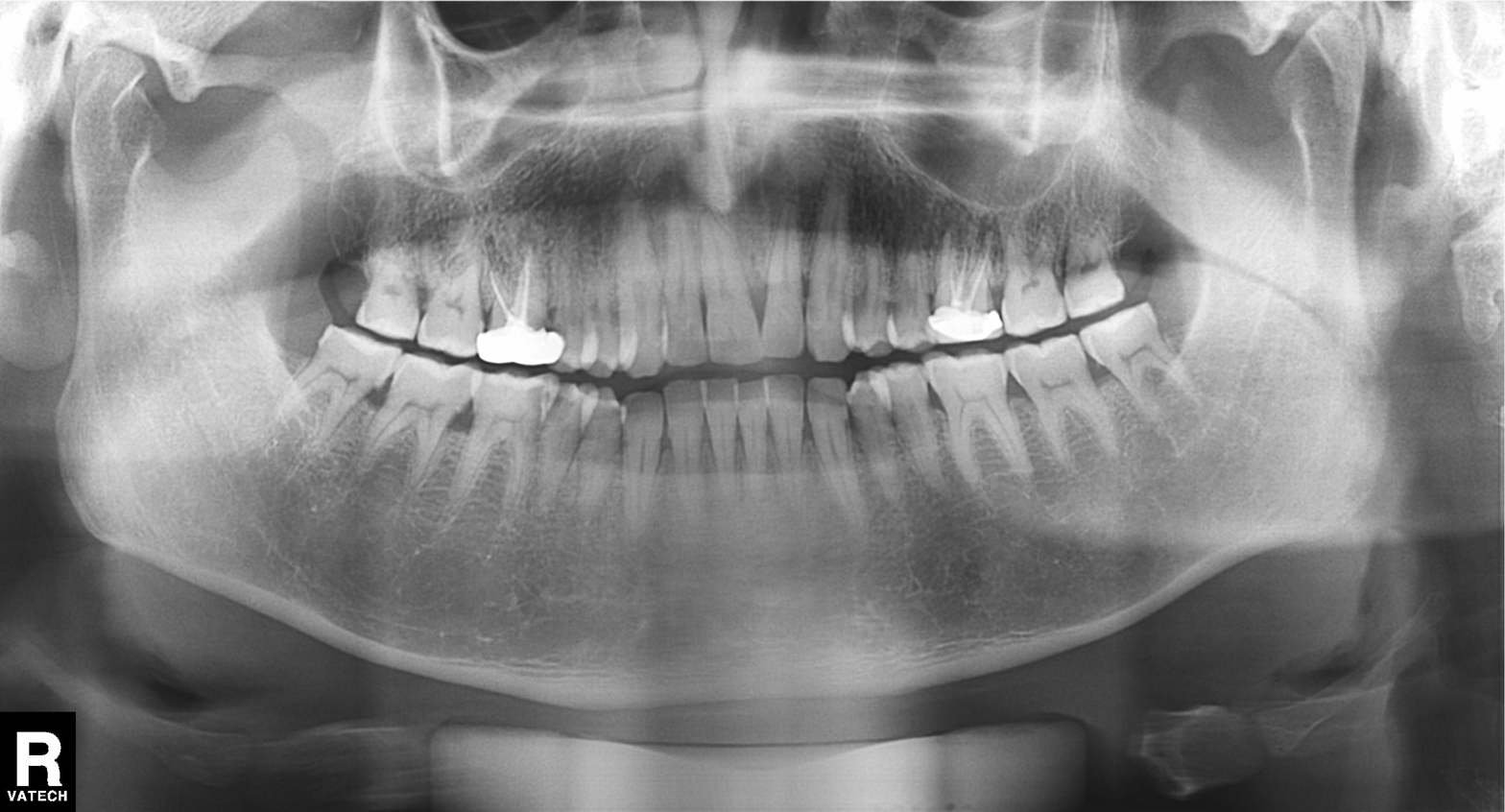
Summary: Panoramic dental radiograph (orthopantomogram).
Impression: Dental caries (cavities).